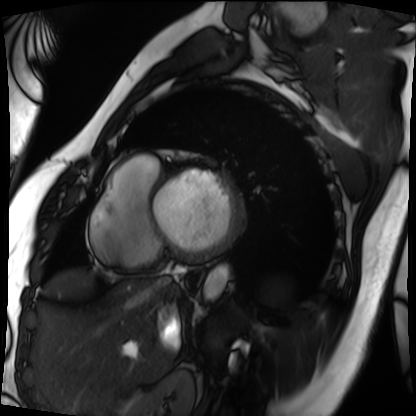
| field | value |
|---|---|
| modality | cardiac MRI |
| subject group | patient |